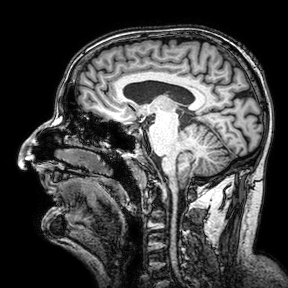
Summary: 3 Tesla brain MRI. Series: 3D T1-weighted turbo field echo with SENSE. Study: ring-enhancing brain masses.